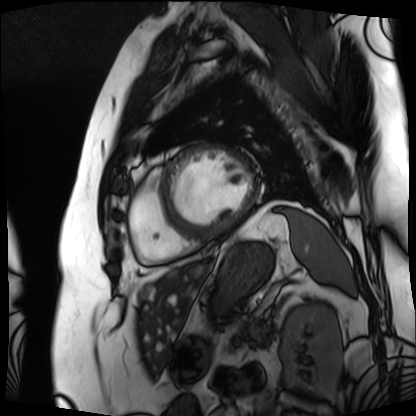
Cardiac MRI.
Subject group: patient.